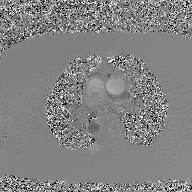
2D phase-contrast cine MRI of the ascending aorta, GAN super-resolution reconstruction.